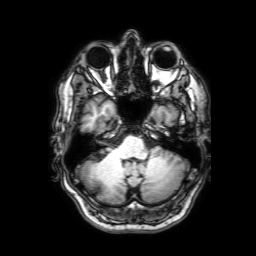
Clinical context: 3 Tesla brain MRI. Series: 3D T1-weighted with SENSE. Study: ring-enhancing brain masses.